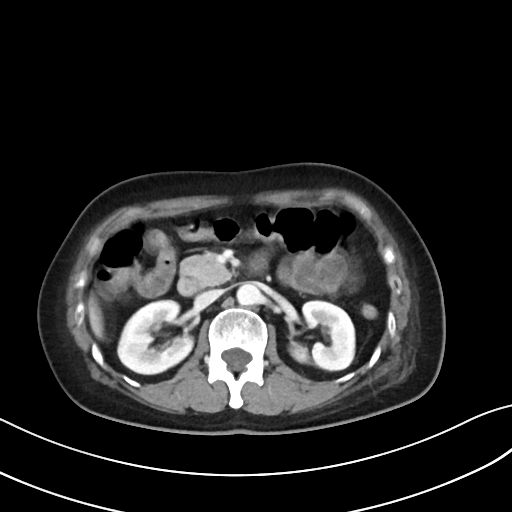
Multiphase abdominal CT, liver, portal venous phase.
Patient: female, age 54.
History: prior chemotherapy.